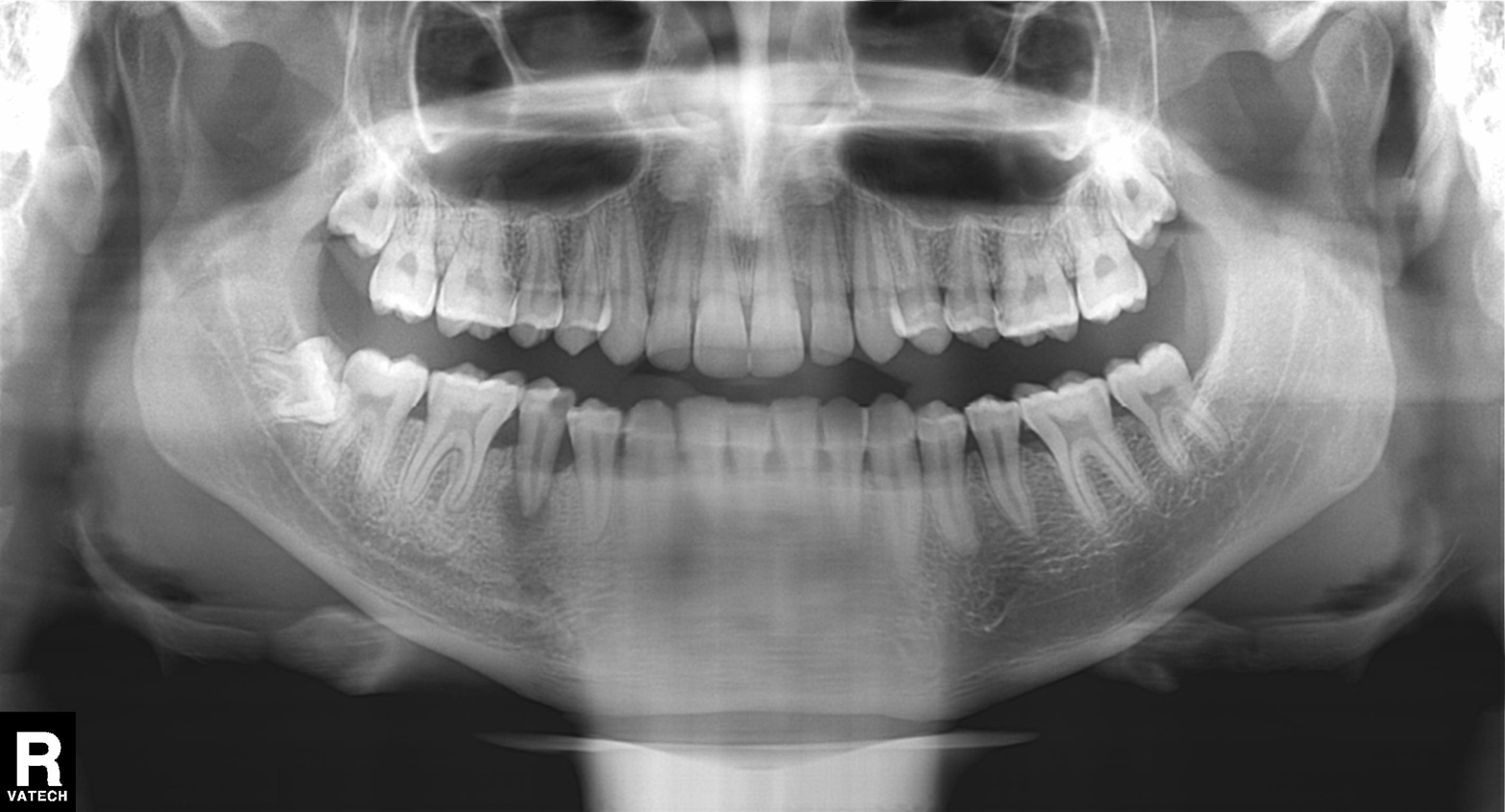
Panoramic dental radiograph (orthopantomogram). Finding: alveolar bone loss.